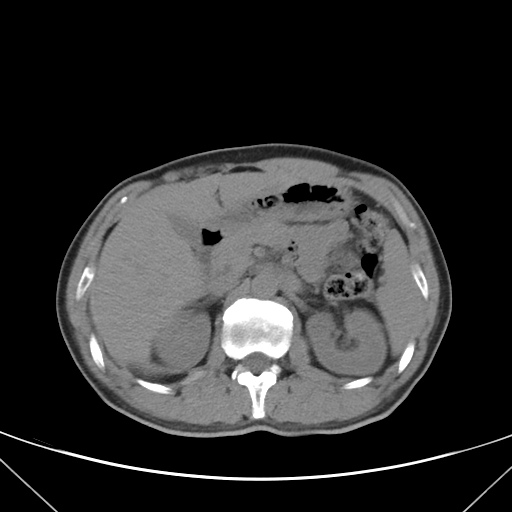
modality: multiphase abdominal CT, liver, non-contrast phase | patient: female, age 36.